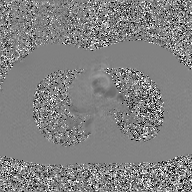
2D phase-contrast cine MRI of the ascending aorta, GAN super-resolution reconstruction.